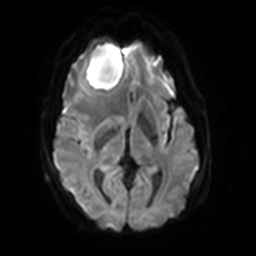
3 Tesla brain MRI. Series: diffusion-weighted imaging with SENSE (WIP). Study: ring-enhancing brain masses.